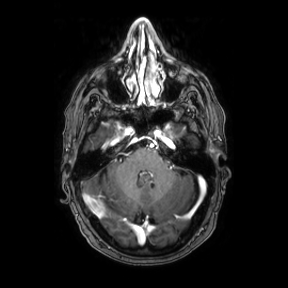
modality = 3 Tesla brain MRI
series = axial
study = ring-enhancing brain masses